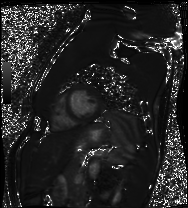
Clinical context: Cardiac MRI. Subject group: healthy volunteer.